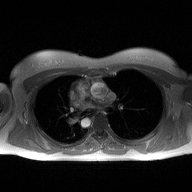
modality=2D phase-contrast cine MRI of the ascending aorta.